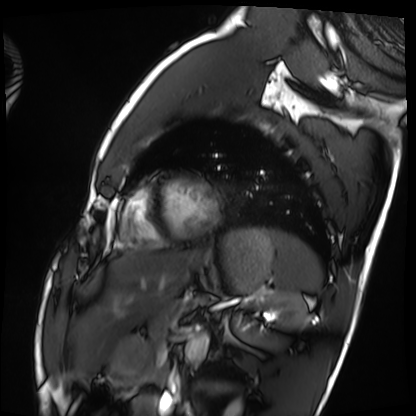
Case:
• modality · cardiac MRI
• subject group · healthy volunteer